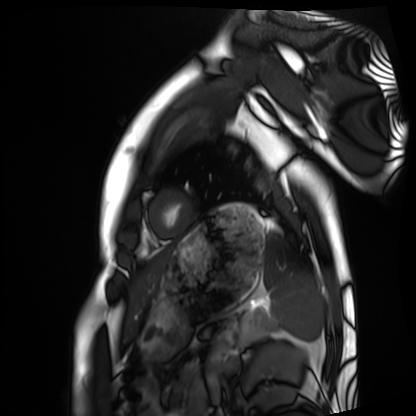
Case summary: Cardiac MRI. Subject group: healthy volunteer.